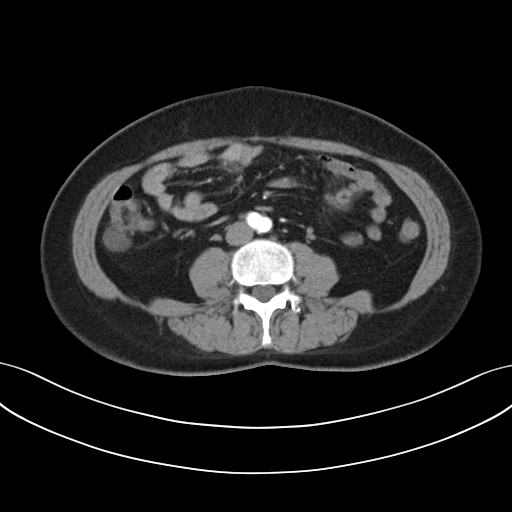
Multiphase abdominal CT, liver, arterial phase. Patient: female, age 50.